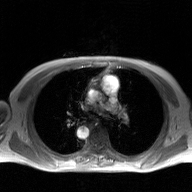
Q: What kind of scan is this?
A: 2D phase-contrast cine MRI of the ascending aorta, GAN super-resolution reconstruction.